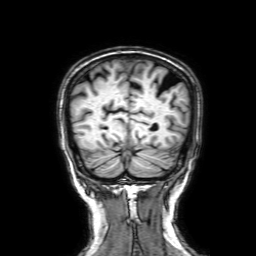
modality — 3 Tesla brain MRI; series — 3D T1-weighted with SENSE; study — ring-enhancing brain masses.